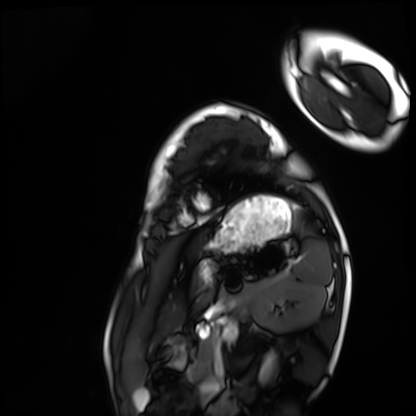
Cardiac MRI.
Subject group: healthy volunteer.